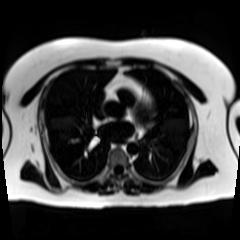
Chemical-shift-encoded cardiac MRI.